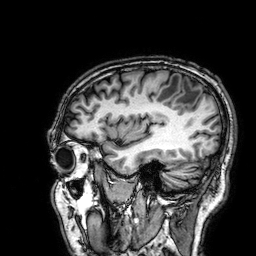
3 Tesla brain MRI. Series: 3D T1-weighted. Study: ring-enhancing brain masses.